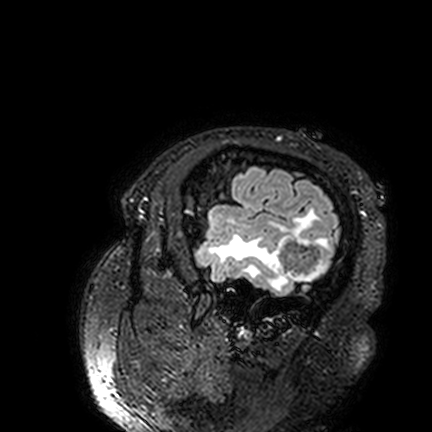
| field | value |
|---|---|
| modality | 3 Tesla brain MRI |
| series | FLAIR VISTA |
| study | ring-enhancing brain masses |